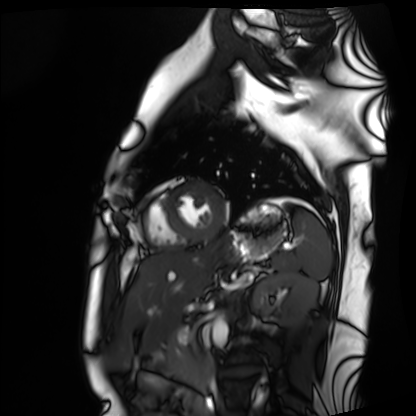
Cardiac MRI.
Subject group: healthy volunteer.